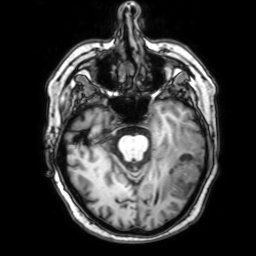
modality:
  type: brain MRI
  field_strength: 3T
series: 3D T1-weighted with SENSE
study_topic: ring-enhancing brain masses